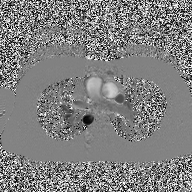
<scan>
<modality>
  <type>2D phase-contrast cine MRI</type>
  <region>ascending aorta</region>
  <reconstruction>high-resolution GRAPPA acquisition</reconstruction>
</modality>
</scan>